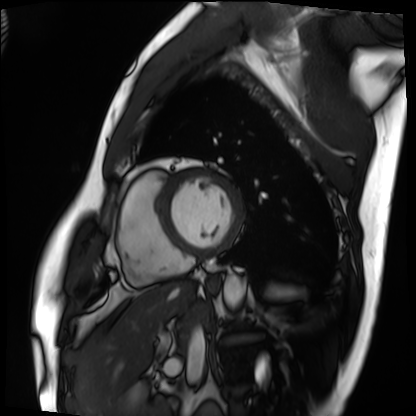
Q: What kind of scan is this?
A: Cardiac MRI.
Subject group: patient.